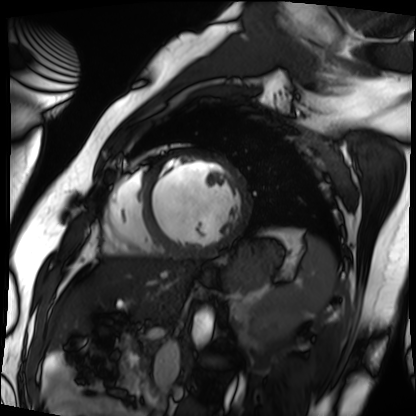
Q: What kind of scan is this?
A: Cardiac MRI.
Subject group: patient.